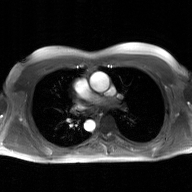
{"modality": {"type": "2D phase-contrast cine MRI", "region": "ascending aorta", "reconstruction": "GAN super-resolution reconstruction"}}